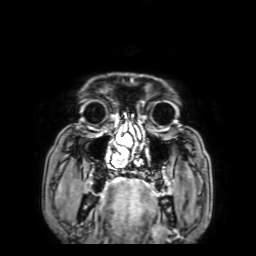
3 Tesla brain MRI. Series: 3D T1-weighted with SENSE. Study: ring-enhancing brain masses.